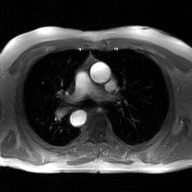
modality:
  type: 2D phase-contrast cine MRI
  region: ascending aorta
  reconstruction: GAN super-resolution reconstruction